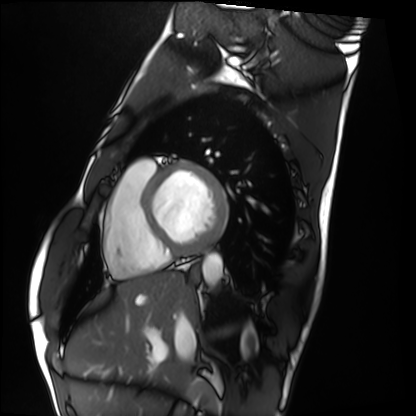
Clinical context:
Cardiac MRI. Subject group: healthy volunteer.